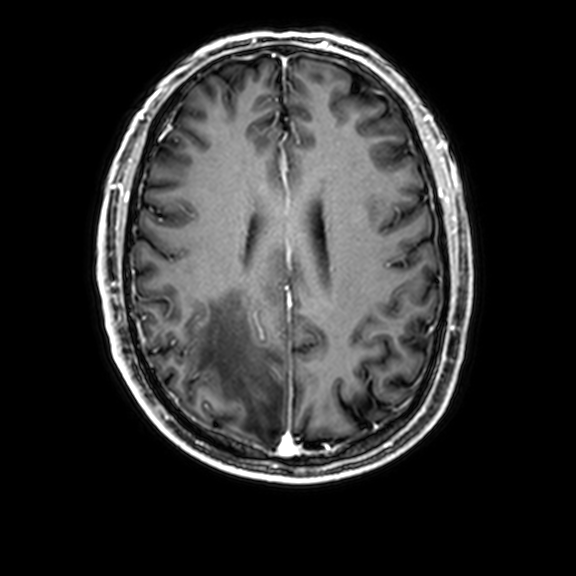
3 Tesla brain MRI. Series: 3D T1-weighted with CLEAR. Study: ring-enhancing brain masses.